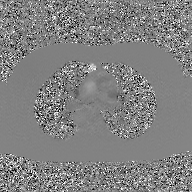
<scan>
  <modality>
    <type>2D phase-contrast cine MRI</type>
    <region>ascending aorta</region>
    <reconstruction>GAN super-resolution reconstruction</reconstruction>
  </modality>
</scan>